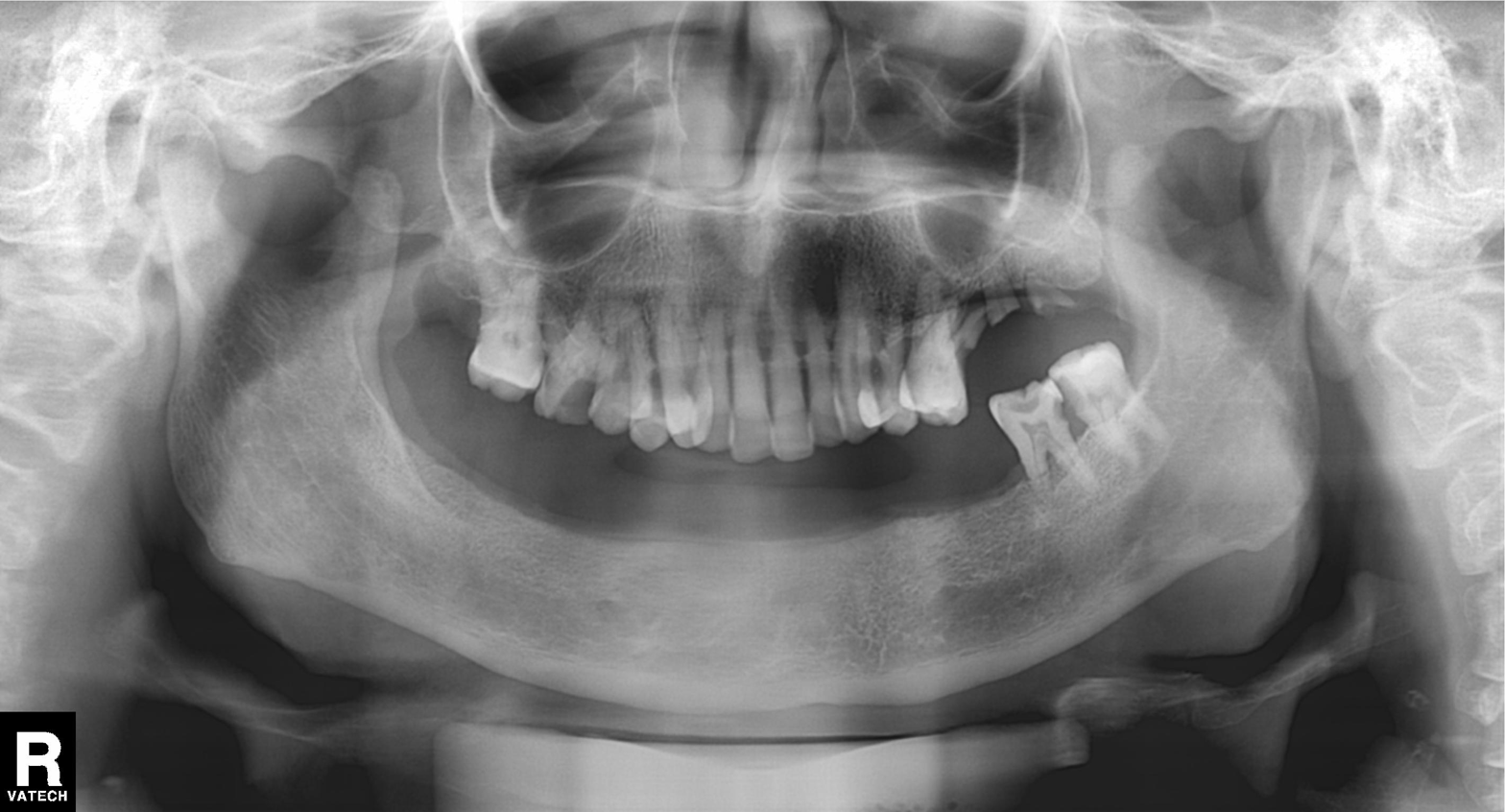
Panoramic dental radiograph (orthopantomogram). Finding: tooth impaction.